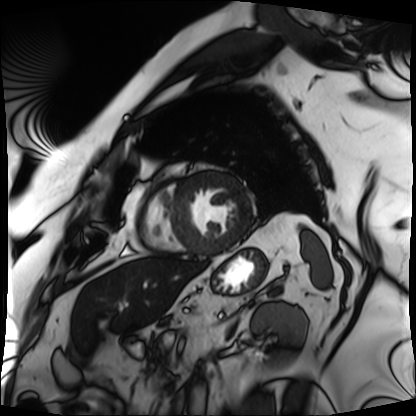
modality=cardiac MRI; subject group=patient.